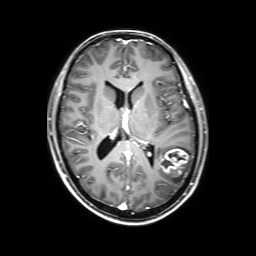
3 Tesla brain MRI.
Series: 3D T1-weighted with SENSE.
Study: ring-enhancing brain masses.